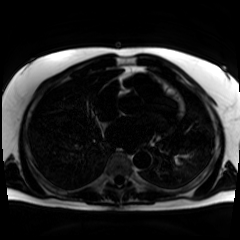
Case summary:
Chemical-shift-encoded cardiac MRI.